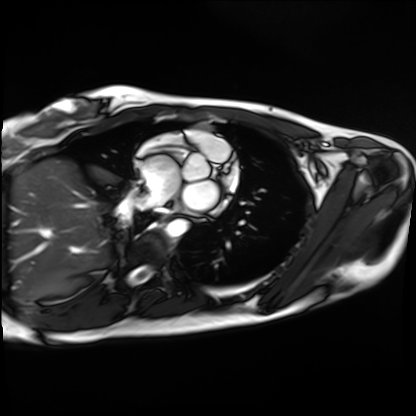
Cardiac MRI. Subject group: healthy volunteer.